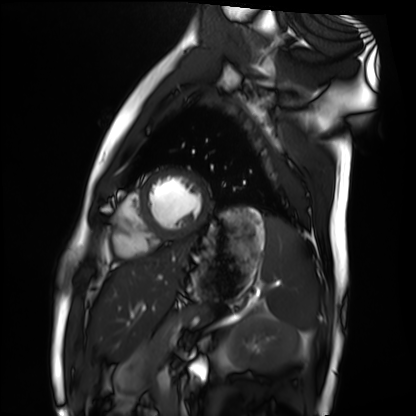
Cardiac MRI.
Subject group: healthy volunteer.